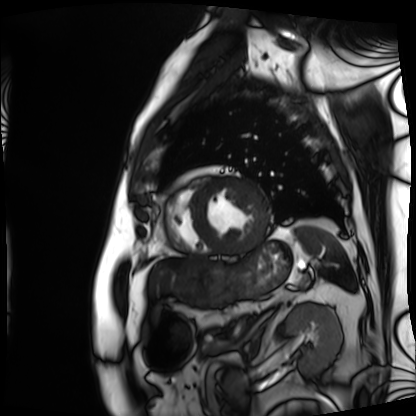
Clinical context:
Cardiac MRI. Subject group: patient.